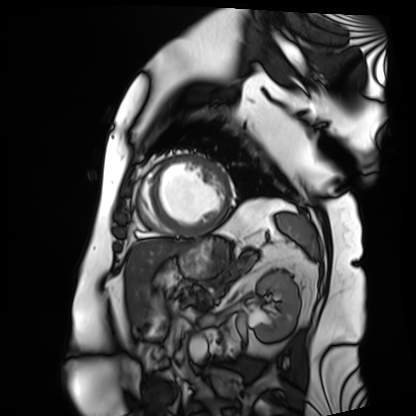
{
  "modality": "cardiac MRI",
  "cohort": "patient"
}